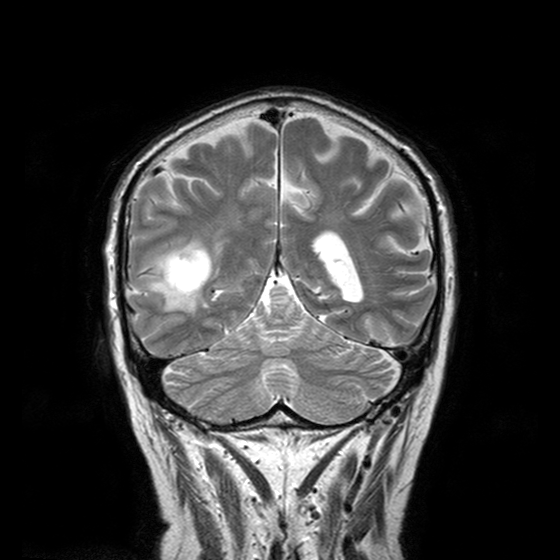
3 Tesla brain MRI. Series: T2-weighted turbo spin echo with CLEAR. Study: ring-enhancing brain masses.